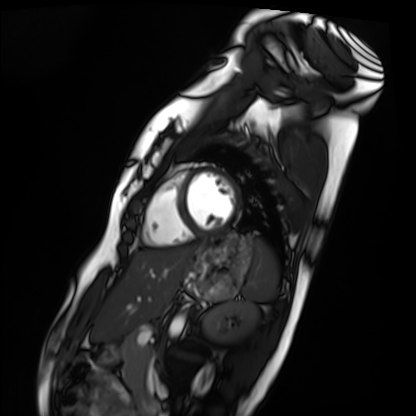
Cardiac MRI. Subject group: healthy volunteer.